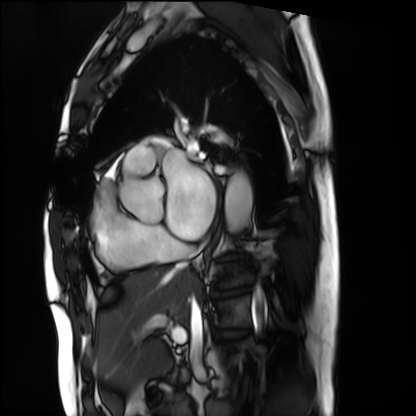
Summary:
Cardiac MRI. Subject group: patient.